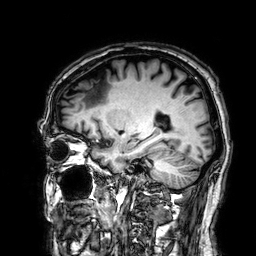
- modality: 3 Tesla brain MRI
- series: 3D T1-weighted
- study: ring-enhancing brain masses